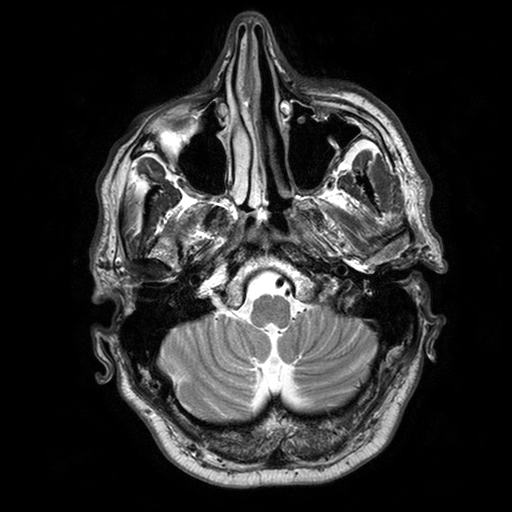
Case:
• modality: 3 Tesla brain MRI
• series: T2-weighted turbo spin echo with SENSE
• study: ring-enhancing brain masses